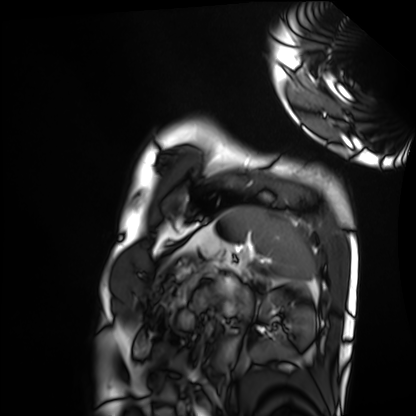
Cardiac MRI.
Subject group: healthy volunteer.